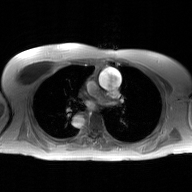
2D phase-contrast cine MRI of the ascending aorta, GAN super-resolution reconstruction.